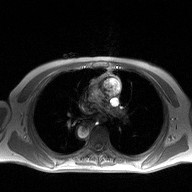
{
  "modality": {
    "type": "2D phase-contrast cine MRI",
    "region": "ascending aorta",
    "reconstruction": "high-resolution GRAPPA acquisition"
  }
}